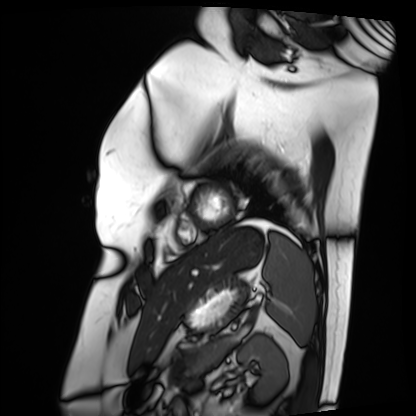
Cardiac MRI.
Subject group: patient.